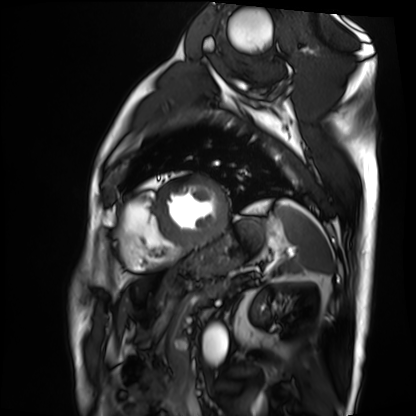
Clinical context: Cardiac MRI. Subject group: patient.